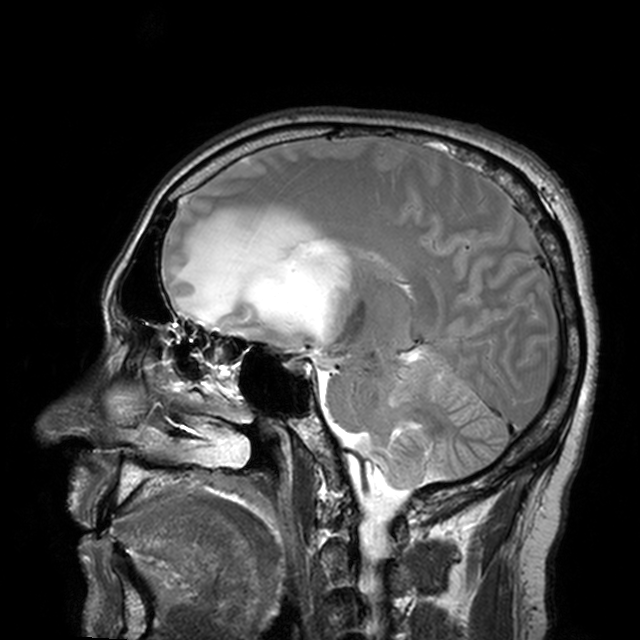
modality: 3 Tesla brain MRI | series: T2-weighted turbo spin echo with CLEAR | study: ring-enhancing brain masses.